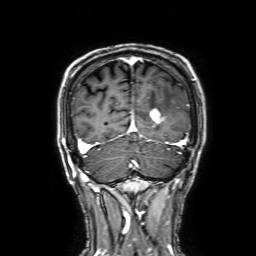
3 Tesla brain MRI.
Series: 3D T1-weighted with SENSE.
Study: ring-enhancing brain masses.